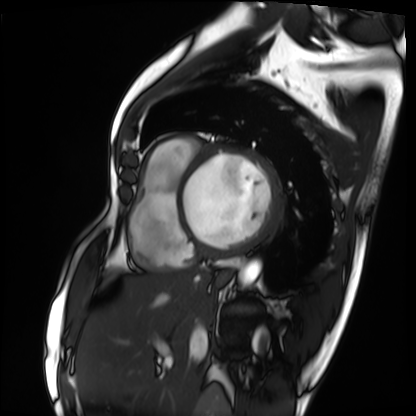
Cardiac MRI. Subject group: patient.